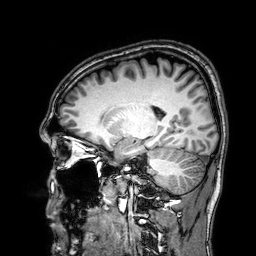
  modality:
    type: brain MRI
    field_strength: 3T
  series: 3D T1-weighted
  study_topic: ring-enhancing brain masses